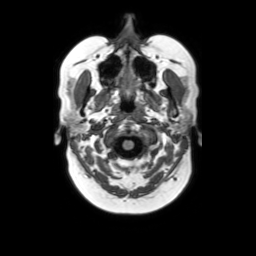
3 Tesla brain MRI.
Series: axial without contrast.
Study: ring-enhancing brain masses.